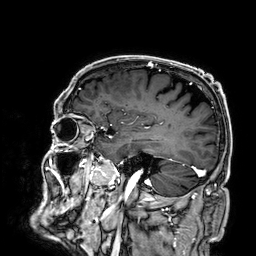
modality=3 Tesla brain MRI
series=3D T1-weighted
study=ring-enhancing brain masses